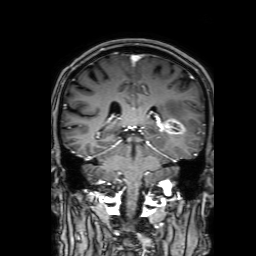
3 Tesla brain MRI.
Series: 3D T1-weighted with SENSE.
Study: ring-enhancing brain masses.